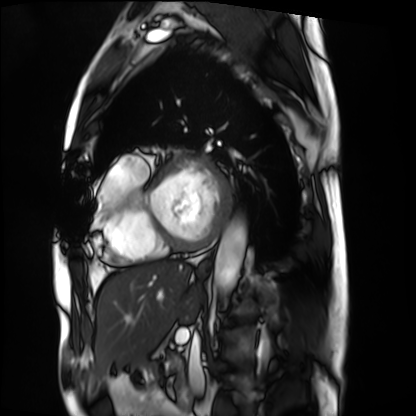
  modality: cardiac MRI
  cohort: patient